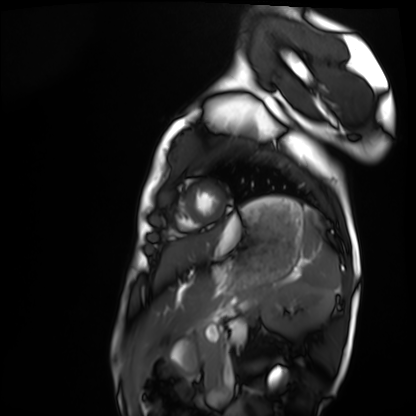
Cardiac MRI.
Subject group: healthy volunteer.